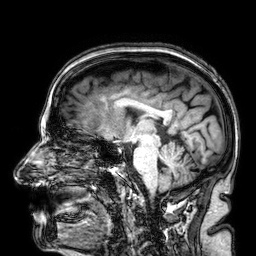
3 Tesla brain MRI.
Series: 3D T1-weighted.
Study: ring-enhancing brain masses.